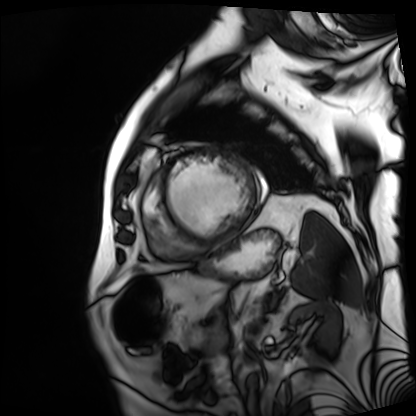
modality: cardiac MRI
cohort: patient